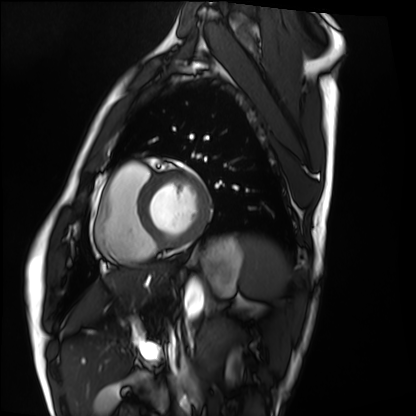
Cardiac MRI.
Subject group: healthy volunteer.